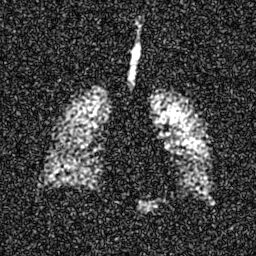
- modality — hyperpolarized 129Xe ventilation MRI of the lungs
- SNR level — 7 of 8 (the deposit holds this scan as its native image and as seven SNR-degraded versions)